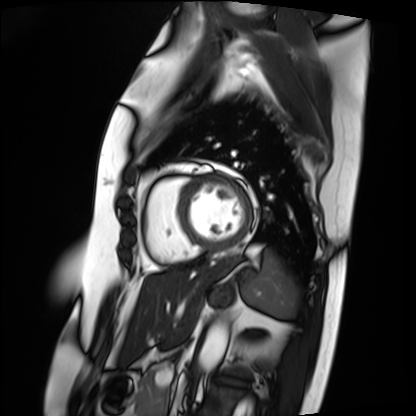
Clinical context:
Cardiac MRI. Subject group: patient.